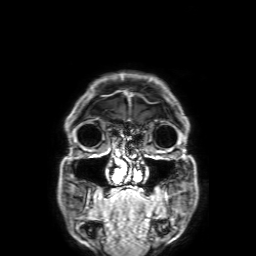
  modality:
    type: brain MRI
    field_strength: 3T
  series: 3D T1-weighted with SENSE
  study_topic: ring-enhancing brain masses